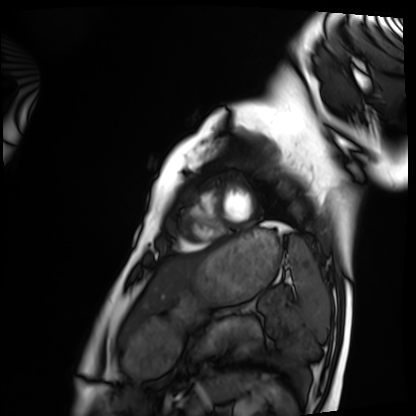
Q: What kind of scan is this?
A: Cardiac MRI.
Subject group: healthy volunteer.